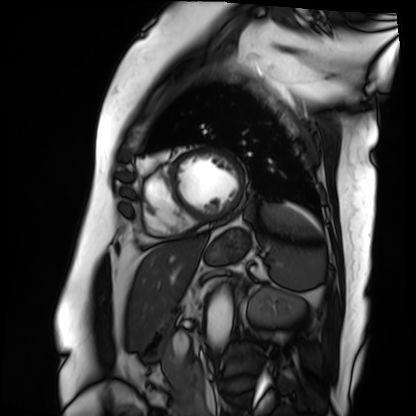
Cardiac MRI. Subject group: patient.